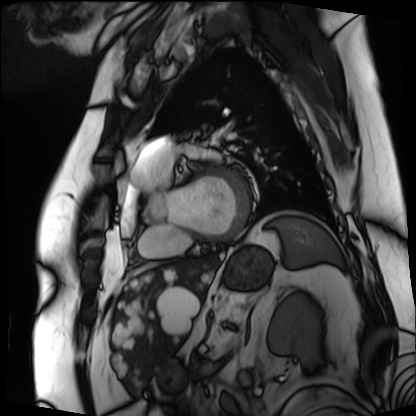
Cardiac MRI.
Subject group: patient.